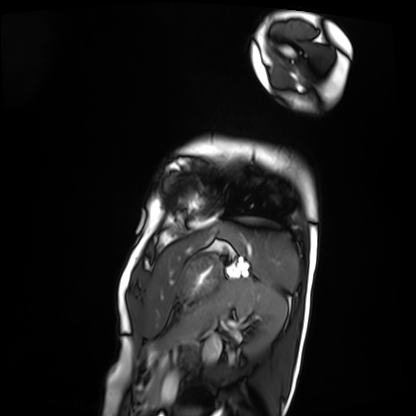
Cardiac MRI. Subject group: patient.